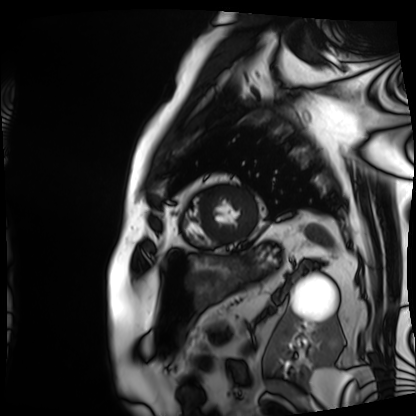
{
  "modality": "cardiac MRI",
  "cohort": "patient"
}